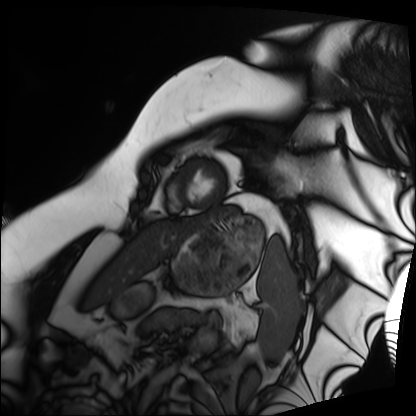
Cardiac MRI.
Subject group: patient.